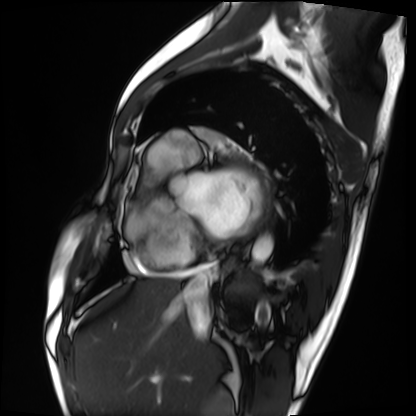
Clinical context: Cardiac MRI. Subject group: patient.